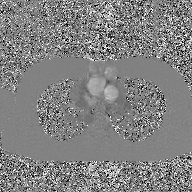
2D phase-contrast cine MRI of the ascending aorta, GAN super-resolution reconstruction.